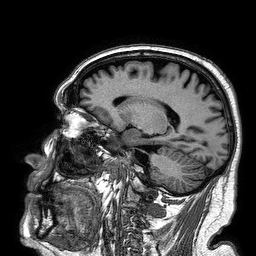
Summary: 3 Tesla brain MRI. Series: 3D T1-weighted turbo field echo. Study: ring-enhancing brain masses.